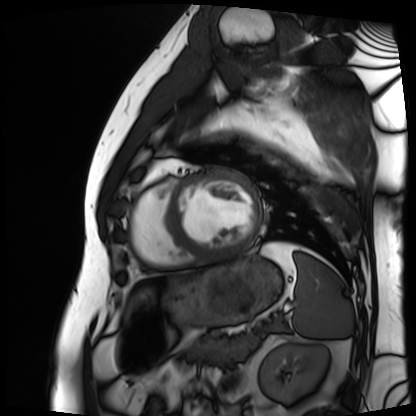
| field | value |
|---|---|
| modality | cardiac MRI |
| subject group | patient |